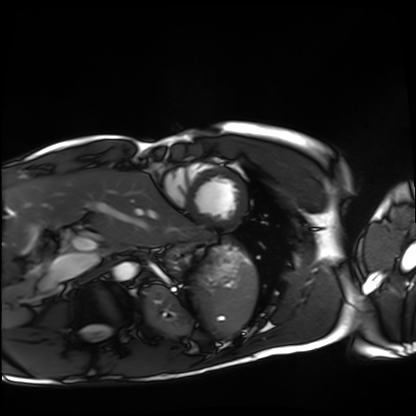
Summary:
Cardiac MRI. Subject group: healthy volunteer.